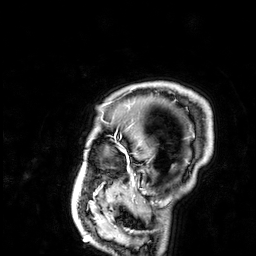
3 Tesla brain MRI.
Series: 3D T1-weighted.
Study: ring-enhancing brain masses.